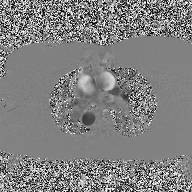
2D phase-contrast cine MRI of the ascending aorta, high-resolution GRAPPA acquisition.